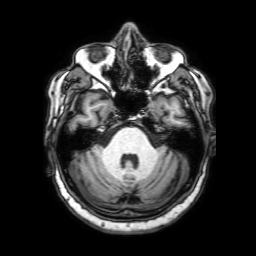
  modality:
    type: brain MRI
    field_strength: 3T
  series: 3D T1-weighted with SENSE
  study_topic: ring-enhancing brain masses